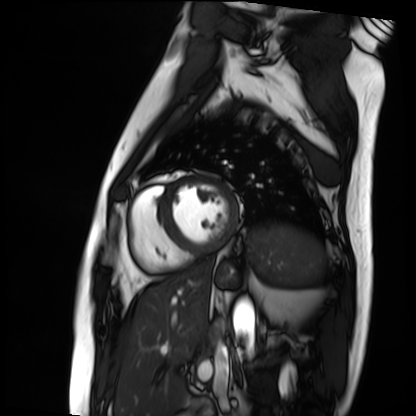
<scan>
<modality>cardiac MRI</modality>
<cohort>patient</cohort>
</scan>